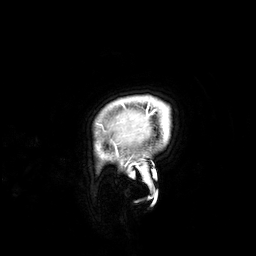
Case summary:
3 Tesla brain MRI. Series: 3D T1-weighted. Study: ring-enhancing brain masses.